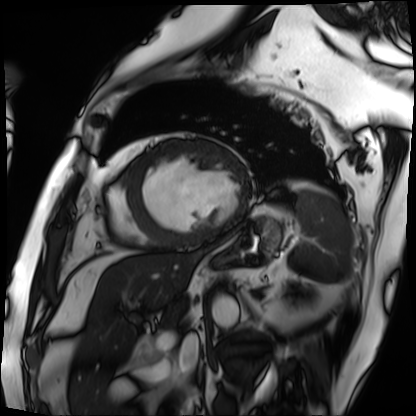
Cardiac MRI. Subject group: patient.